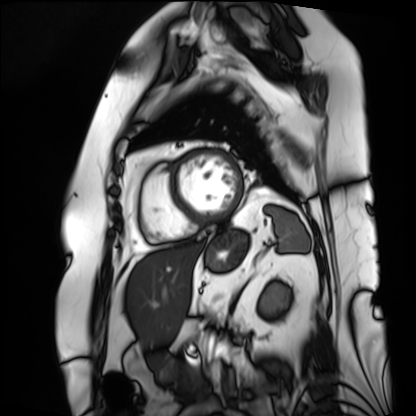
Cardiac MRI. Subject group: patient.